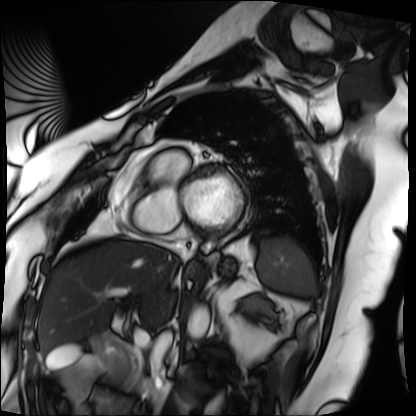
Cardiac MRI.
Subject group: patient.